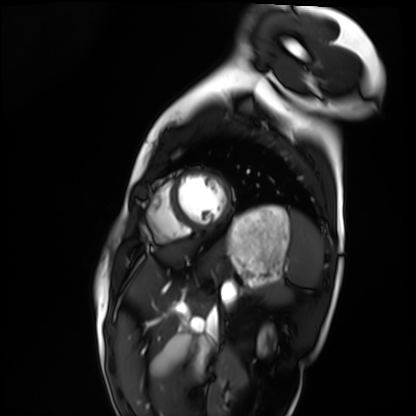
Summary:
Cardiac MRI. Subject group: healthy volunteer.